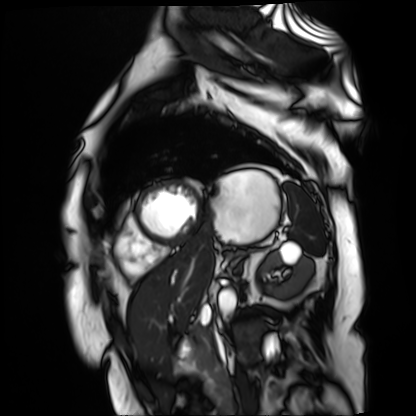
Case:
• modality — cardiac MR image of the myocardium
• subject cohort — cardiac patient